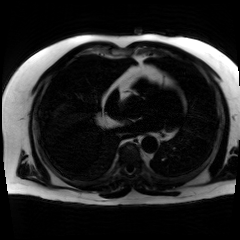
modality — chemical-shift-encoded cardiac MRI